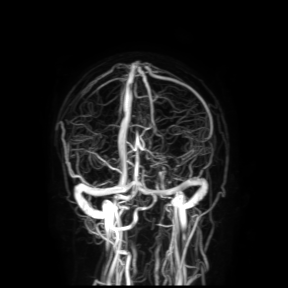
Summary: 3 Tesla brain MRI. Study: ring-enhancing brain masses.